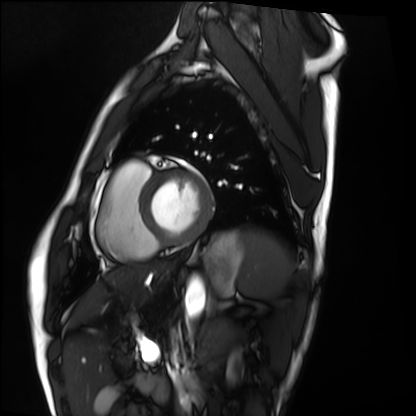
modality: cardiac MRI | subject group: healthy volunteer.